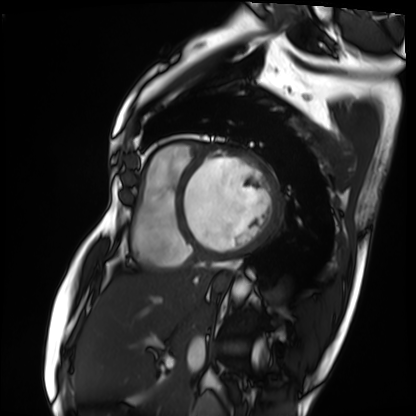
Summary: Cardiac MRI. Subject group: patient.